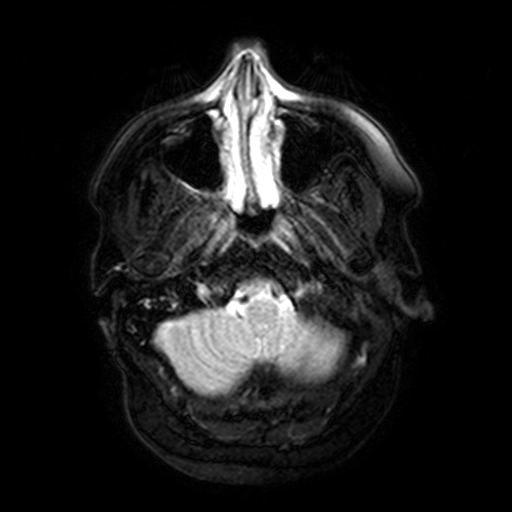
Q: What kind of scan is this?
A: 3 Tesla brain MRI.
Q: Series?
A: FLAIR with SPAIR, 3 mm.
Study: ring-enhancing brain masses.